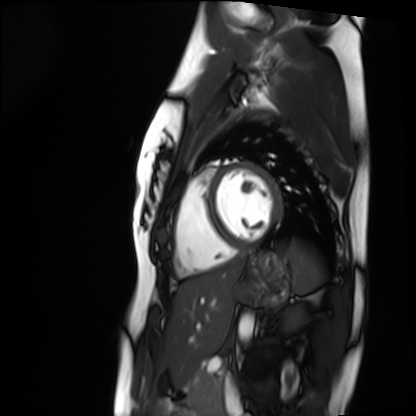
Cardiac MRI. Subject group: healthy volunteer.